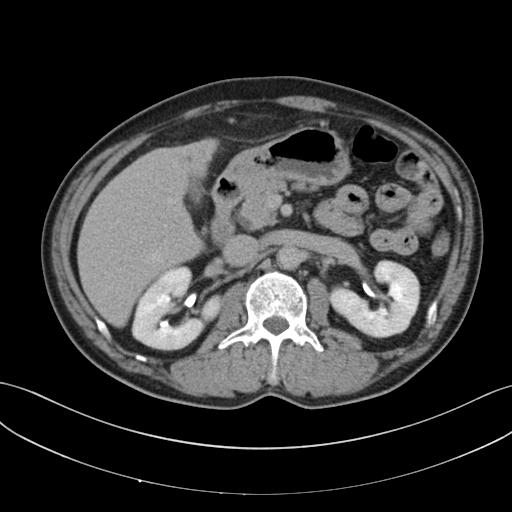
modality=multiphase abdominal CT, liver, delayed phase; patient=male, age 53.